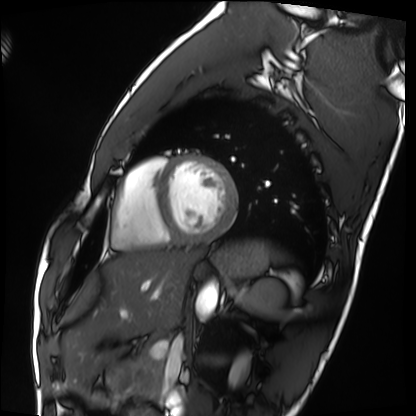
Summary: Cardiac MRI. Subject group: healthy volunteer.